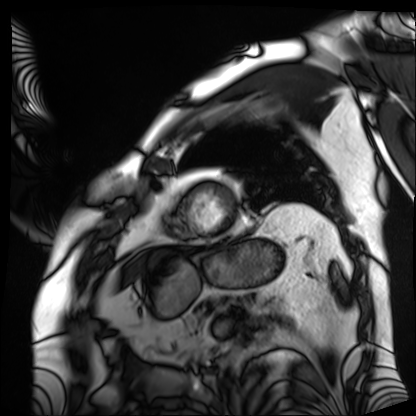
Cardiac MRI. Subject group: patient.